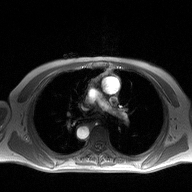
Clinical context:
2D phase-contrast cine MRI of the ascending aorta, high-resolution GRAPPA acquisition.